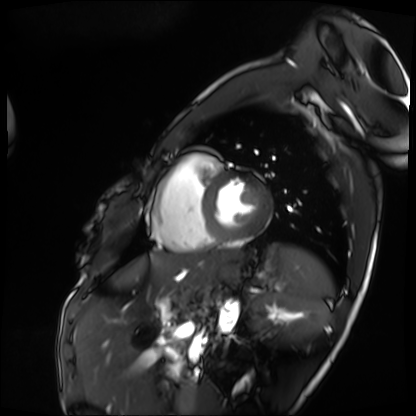
Clinical context: Cardiac MRI. Subject group: patient.